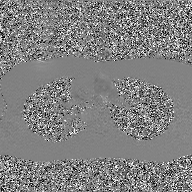
  modality:
    type: 2D phase-contrast cine MRI
    region: ascending aorta
    reconstruction: GAN super-resolution reconstruction